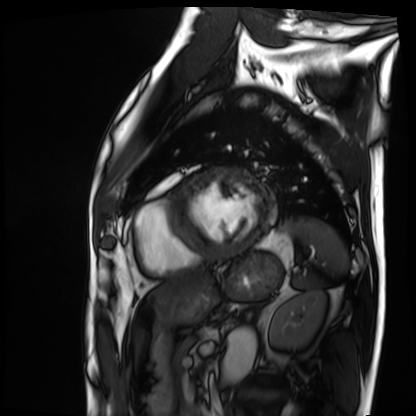
Cardiac MRI.
Subject group: patient.